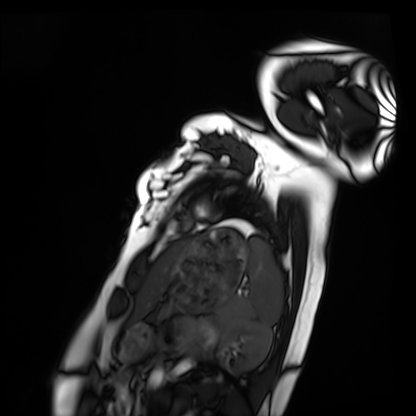
Case:
– modality · cardiac MRI
– subject group · healthy volunteer